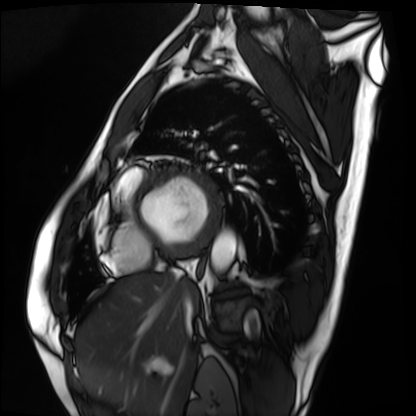
<scan>
<modality>cardiac MRI</modality>
<cohort>patient</cohort>
</scan>